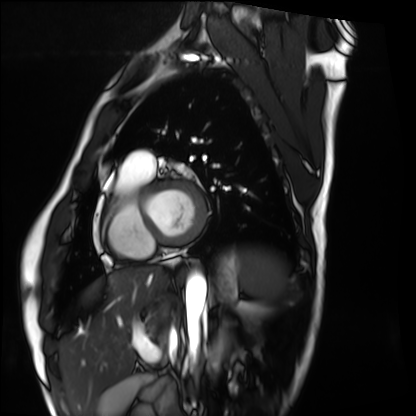
Cardiac MRI. Subject group: healthy volunteer.